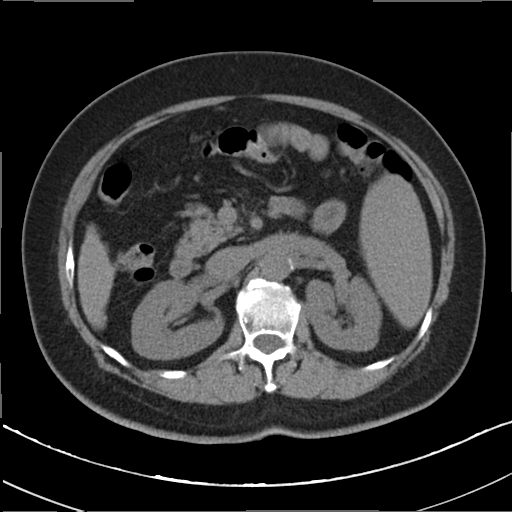
Multiphase abdominal CT, liver, non-contrast phase. Patient: female, age 64. History: cirrhosis, viral hepatitis.